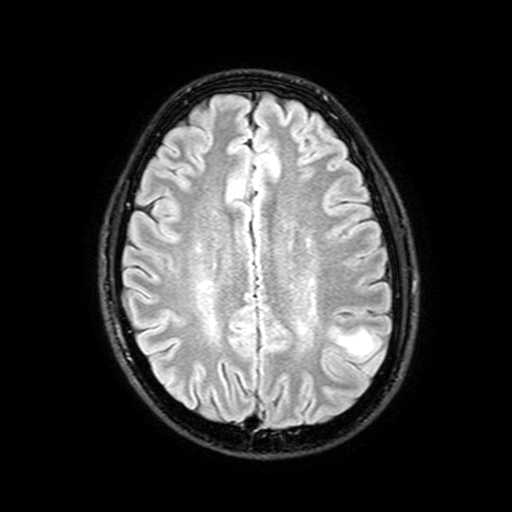
Case:
– modality · 3 Tesla brain MRI
– series · FLAIR with SPAIR, 3 mm
– study · ring-enhancing brain masses